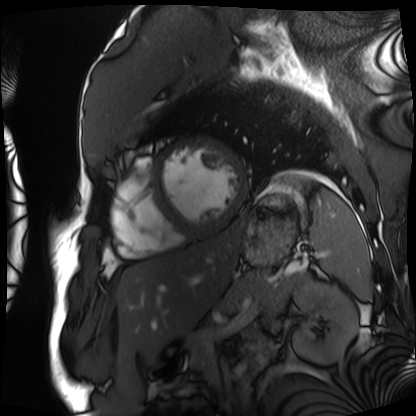
Cardiac MRI.
Subject group: patient.